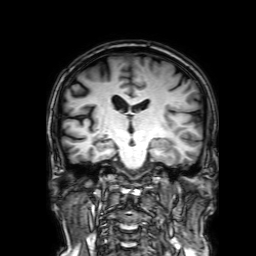
Clinical context: 3 Tesla brain MRI. Series: 3D T1-weighted with SENSE. Study: ring-enhancing brain masses.